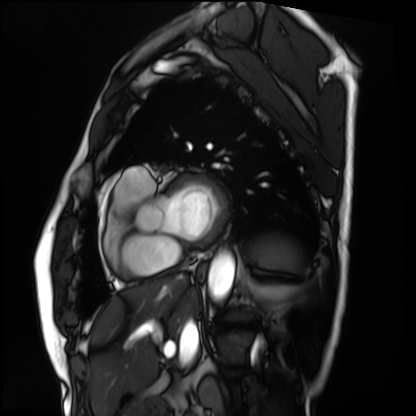
<record>
<modality>cardiac MRI</modality>
<cohort>patient</cohort>
</record>